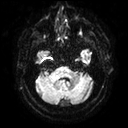
Case:
* modality — 3 Tesla brain MRI
* series — diffusion tensor imaging (medium iso)
* study — ring-enhancing brain masses